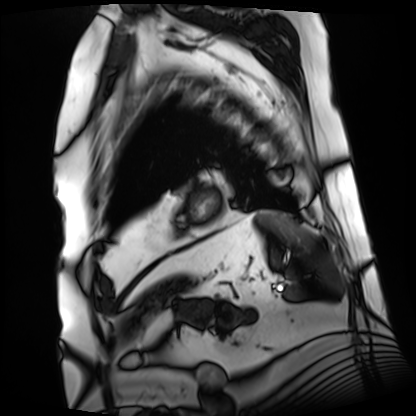
– modality · cardiac MRI
– subject group · patient